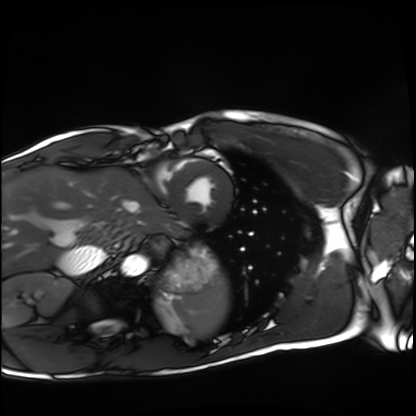
Cardiac MRI. Subject group: healthy volunteer.